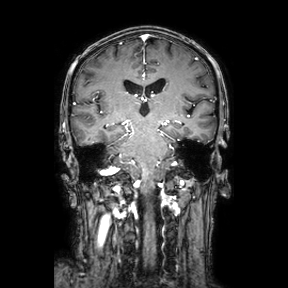
3 Tesla brain MRI.
Series: coronal.
Study: ring-enhancing brain masses.